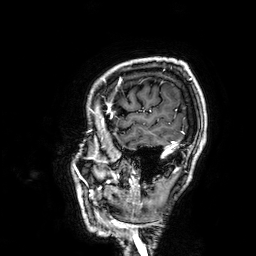
modality = 3 Tesla brain MRI; series = 3D T1-weighted; study = ring-enhancing brain masses.